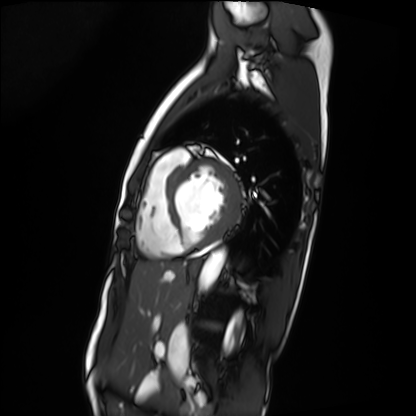
- modality · cardiac MRI
- subject group · patient